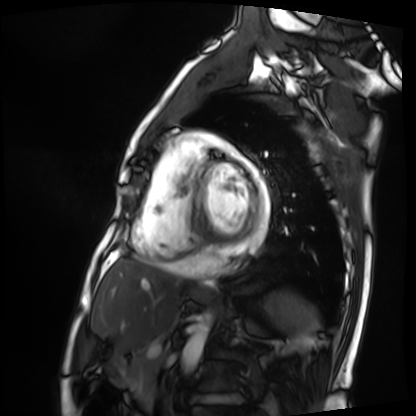
Summary: Cardiac MRI. Subject group: patient.